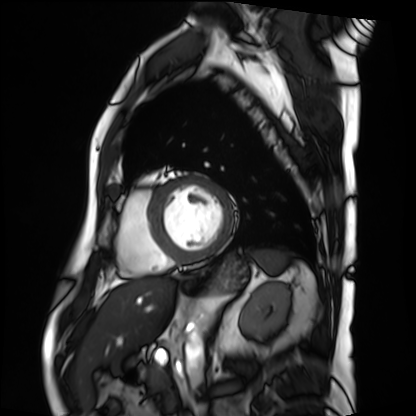
modality=cardiac MRI | subject group=patient.